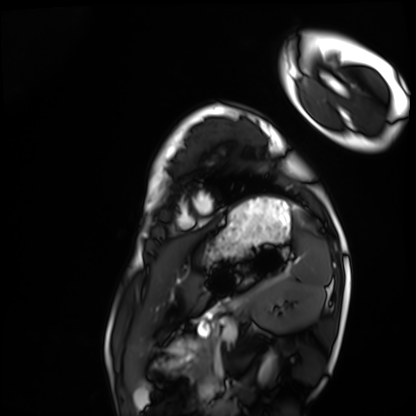
Cardiac MRI. Subject group: healthy volunteer.